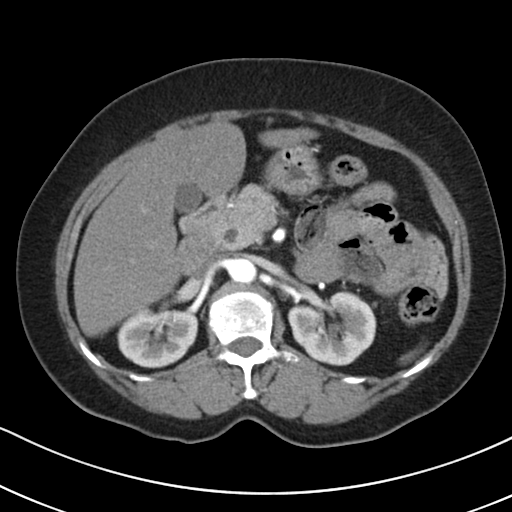
Multiphase abdominal CT, liver, arterial phase.
Patient: female, age 70.